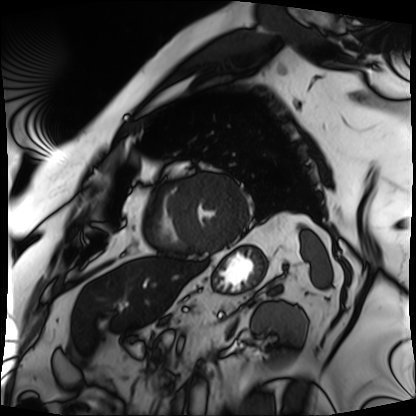
Case:
• modality · cardiac MRI
• subject group · patient